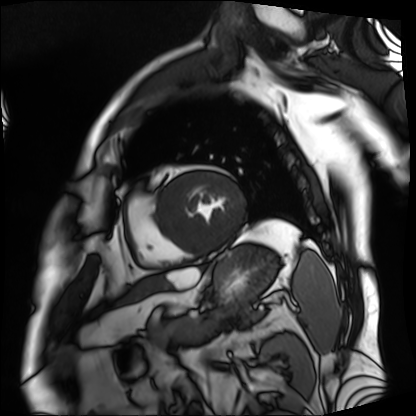
modality — cardiac MRI; subject group — patient.